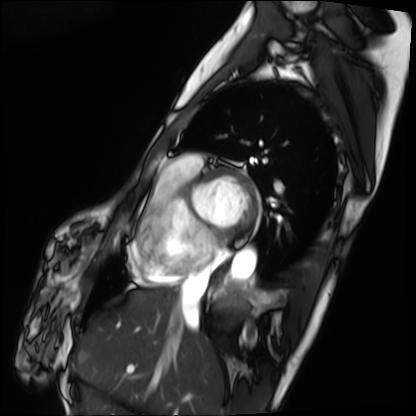
Cardiac MRI. Subject group: patient.